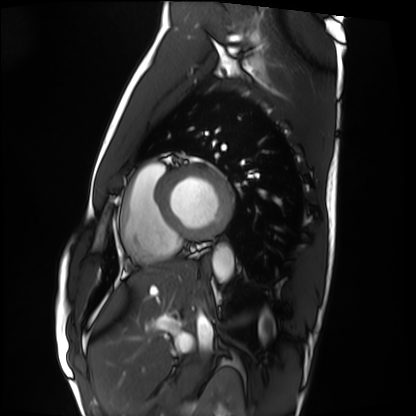
Cardiac MRI. Subject group: healthy volunteer.